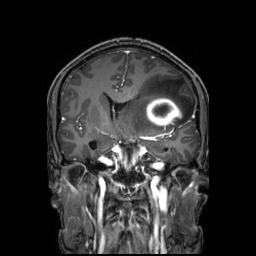
Clinical context: 3 Tesla brain MRI. Series: 3D T1-weighted TFE with SENSE. Study: ring-enhancing brain masses.